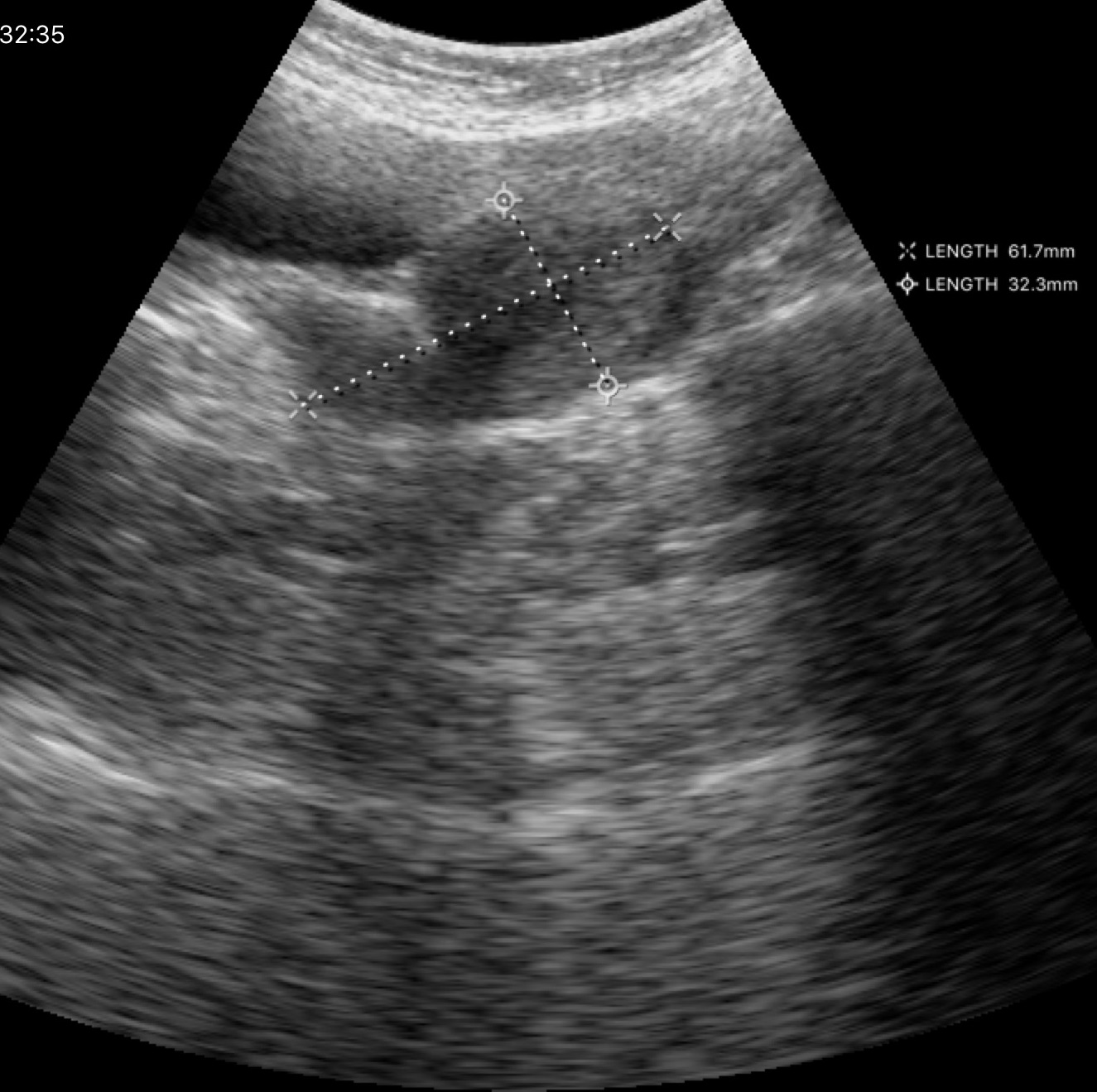
Q: What kind of scan is this?
A: Genitourinary ultrasound.